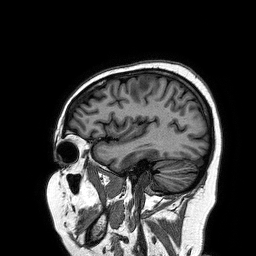
Clinical context: 3 Tesla brain MRI. Series: 3D T1-weighted turbo field echo. Study: ring-enhancing brain masses.